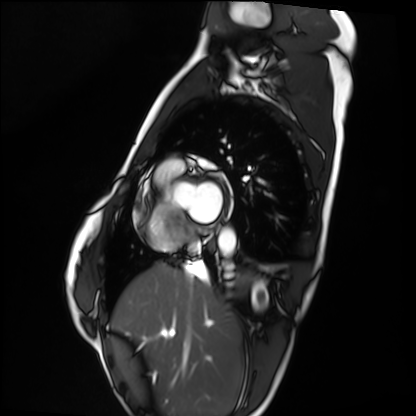
Summary:
Cardiac MRI. Subject group: healthy volunteer.